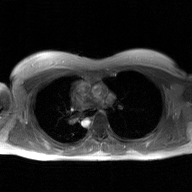
2D phase-contrast cine MRI of the ascending aorta, GAN super-resolution reconstruction.